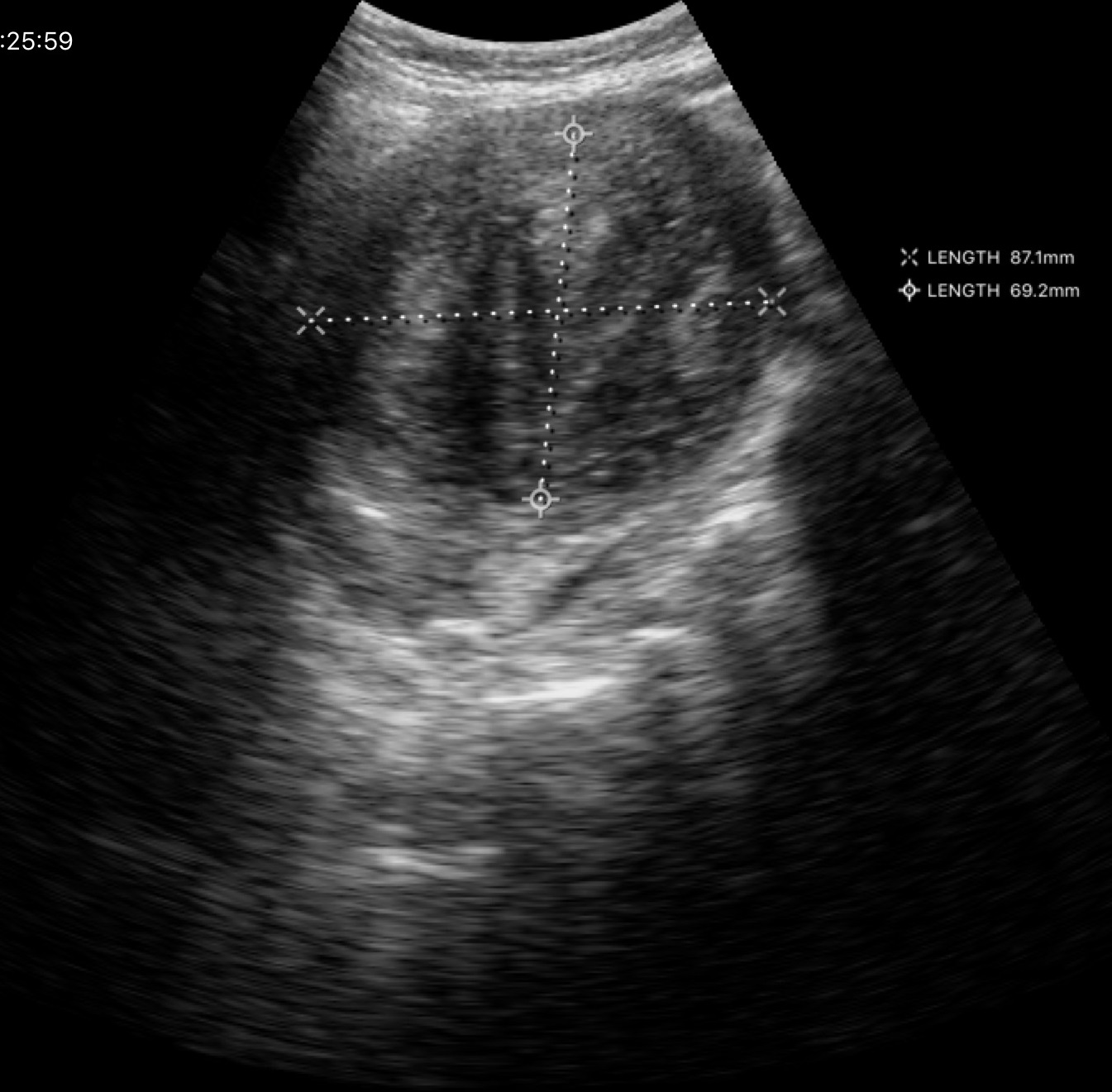
Genitourinary ultrasound.